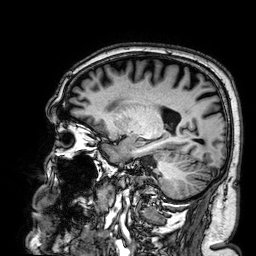
Clinical context: 3 Tesla brain MRI. Series: 3D T1-weighted. Study: ring-enhancing brain masses.